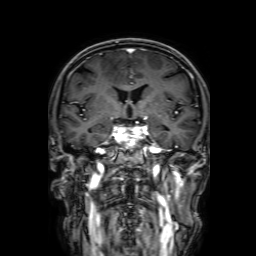
Clinical context:
3 Tesla brain MRI. Series: 3D T1-weighted with SENSE. Study: ring-enhancing brain masses.